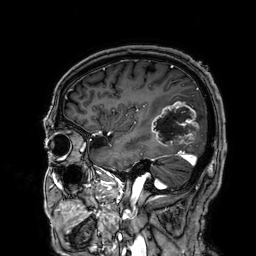
Clinical context: 3 Tesla brain MRI. Series: 3D T1-weighted. Study: ring-enhancing brain masses.